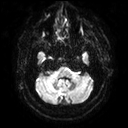
Case:
* modality · 3 Tesla brain MRI
* series · diffusion tensor imaging (medium iso)
* study · ring-enhancing brain masses